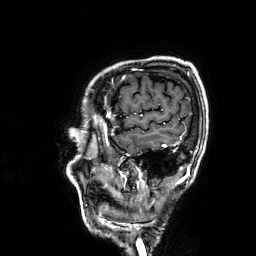
3 Tesla brain MRI. Series: 3D T1-weighted. Study: ring-enhancing brain masses.